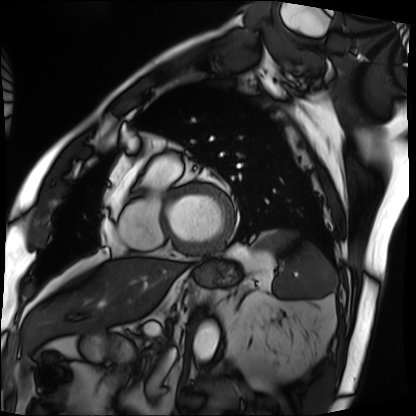
modality: cardiac MRI
subject group: patient